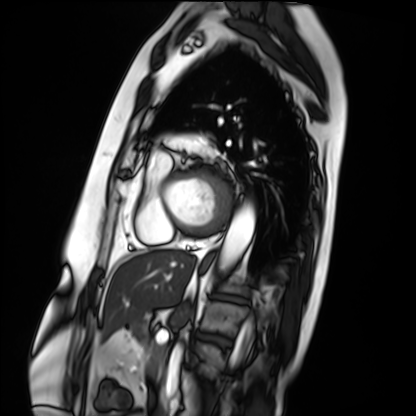
Cardiac MRI.
Subject group: patient.